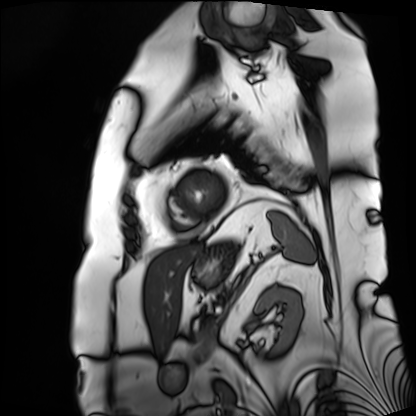
{"modality": "cardiac MRI", "cohort": "patient"}